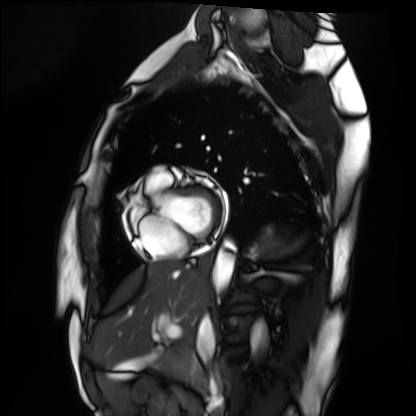
Summary:
Cardiac MRI. Subject group: healthy volunteer.